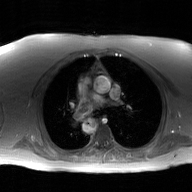
Summary:
2D phase-contrast cine MRI of the ascending aorta, GAN super-resolution reconstruction.